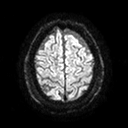
• modality: 3 Tesla brain MRI
• study: ring-enhancing brain masses